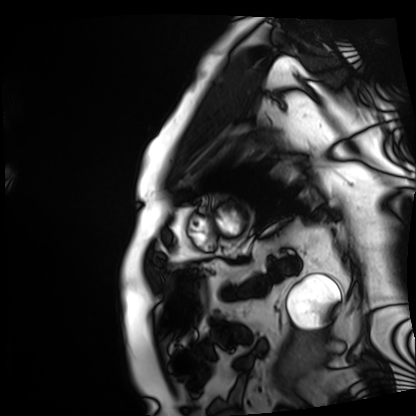
Summary:
Cardiac MRI. Subject group: patient.